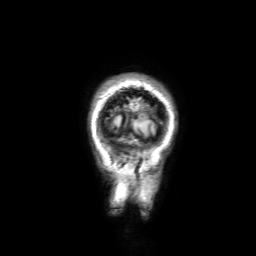
3 Tesla brain MRI.
Series: 3D T1-weighted with SENSE.
Study: ring-enhancing brain masses.